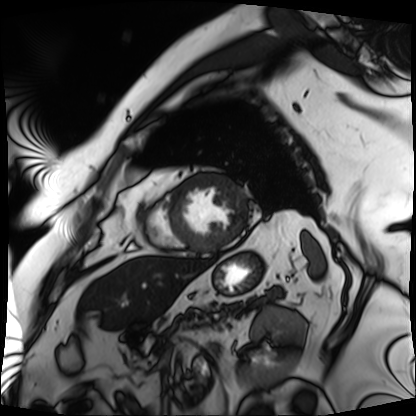
Summary: Cardiac MRI. Subject group: patient.